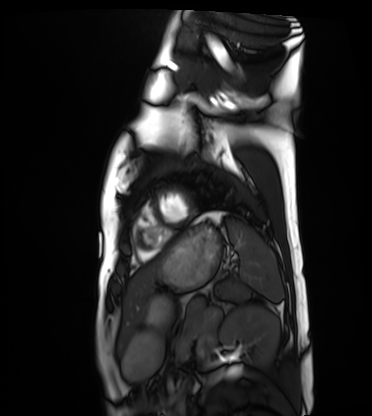
Q: What kind of scan is this?
A: Cardiac MRI.
Subject group: healthy volunteer.